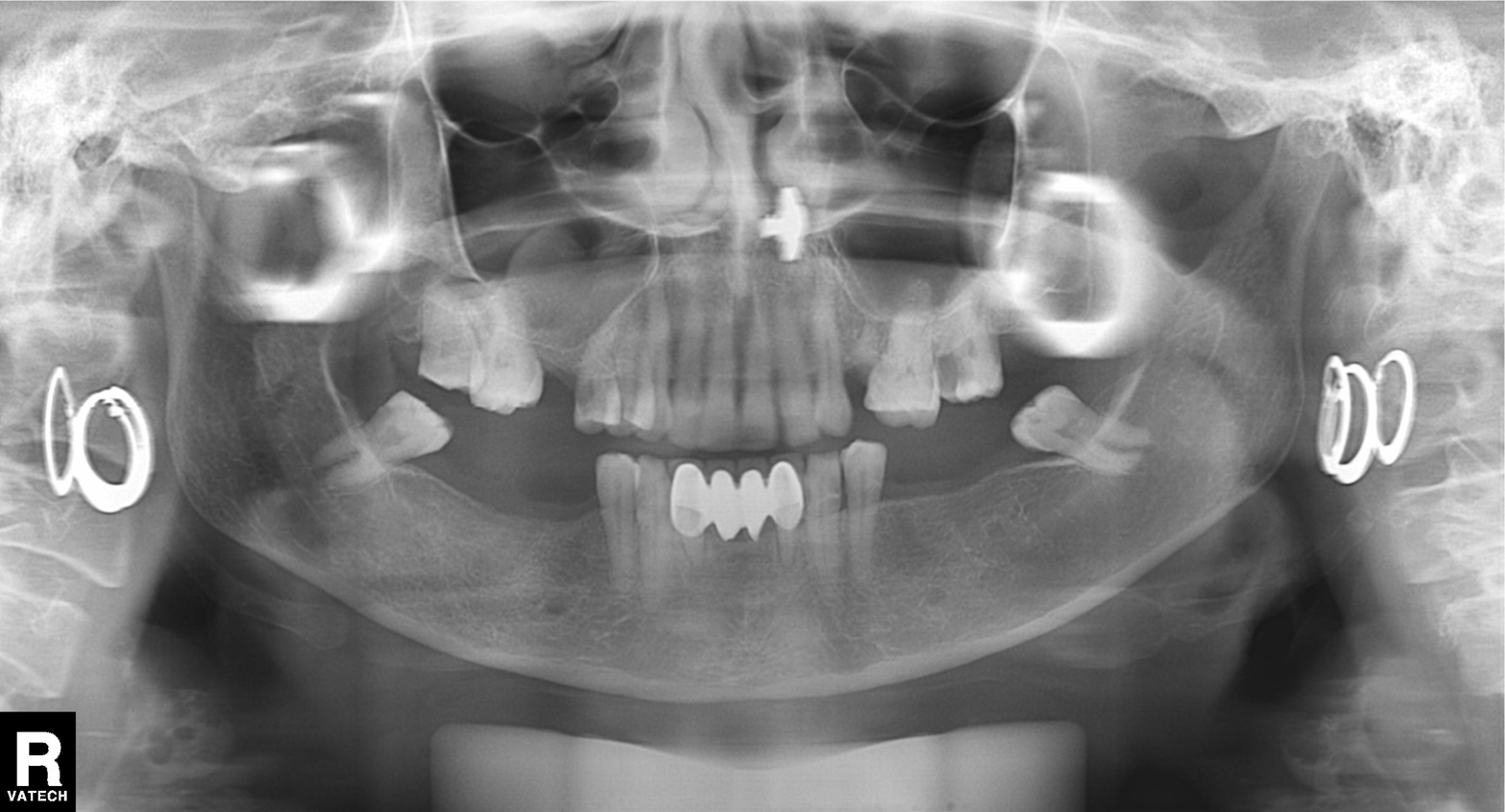
- modality — panoramic dental radiograph (orthopantomogram)
- finding — tooth impaction